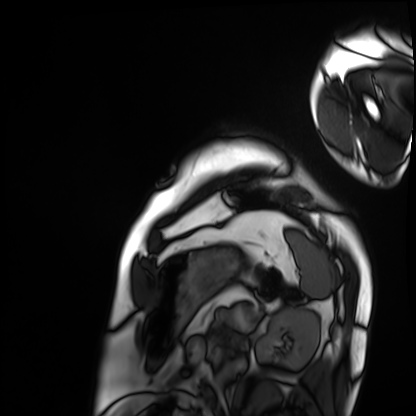
Case:
– modality: cardiac MRI
– subject group: patient